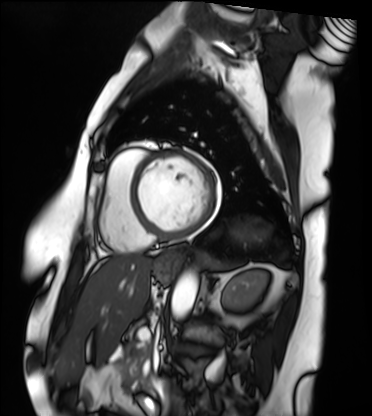
<case>
<modality>cardiac MRI</modality>
<cohort>patient</cohort>
</case>